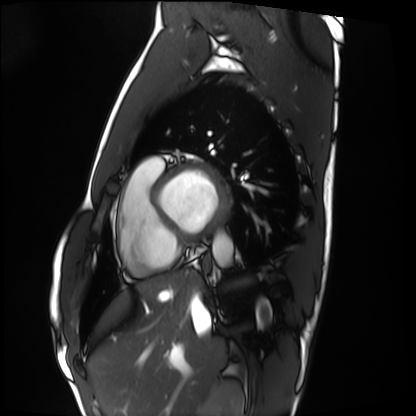
Cardiac MRI. Subject group: healthy volunteer.